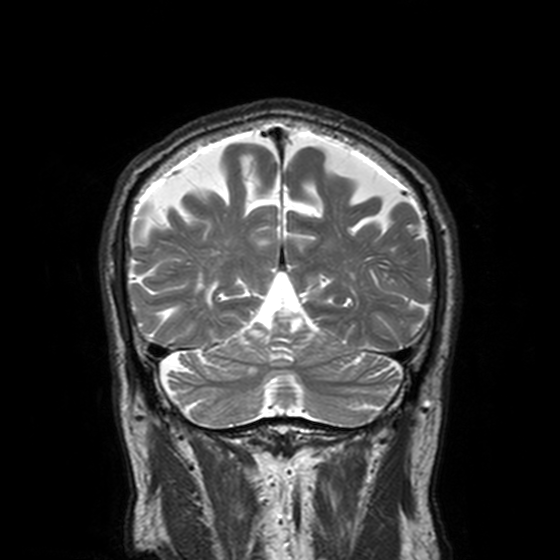
3 Tesla brain MRI.
Series: T2-weighted turbo spin echo, 3 mm.
Study: ring-enhancing brain masses.